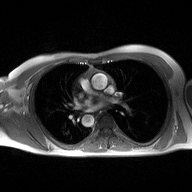
Summary: 2D phase-contrast cine MRI of the ascending aorta, high-resolution GRAPPA acquisition.